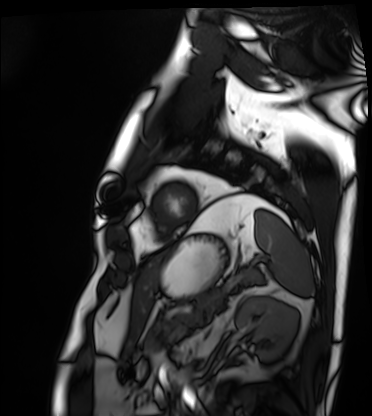
Clinical context: Cardiac MRI. Subject group: patient.